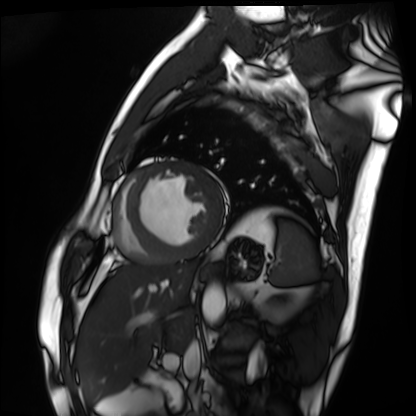
Q: What kind of scan is this?
A: Cardiac MRI.
Subject group: patient.